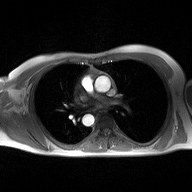
Q: What kind of scan is this?
A: 2D phase-contrast cine MRI of the ascending aorta.